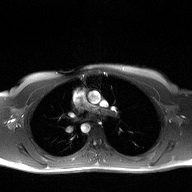
2D phase-contrast cine MRI of the ascending aorta, high-resolution GRAPPA acquisition.